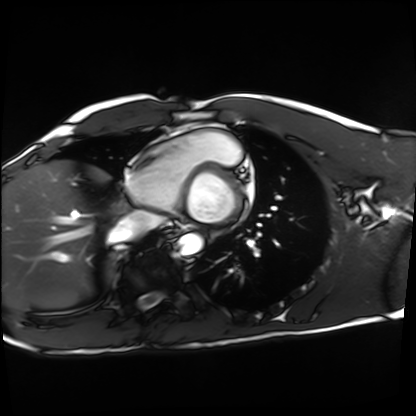
Cardiac MRI. Subject group: healthy volunteer.